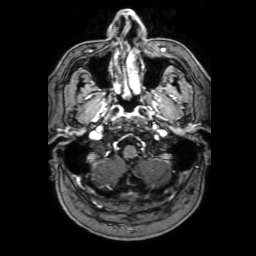
Q: What kind of scan is this?
A: 3 Tesla brain MRI.
Q: Series?
A: 3D T1-weighted with SENSE.
Study: ring-enhancing brain masses.